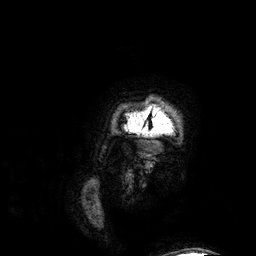
modality = 3 Tesla brain MRI
study = ring-enhancing brain masses